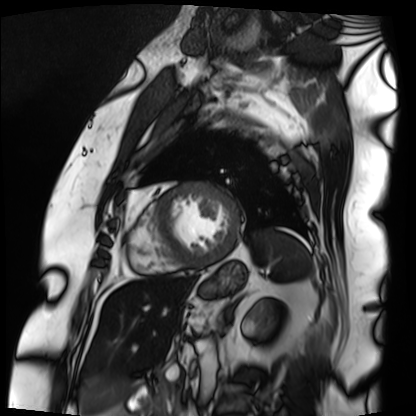
- modality — cardiac MRI
- subject group — patient